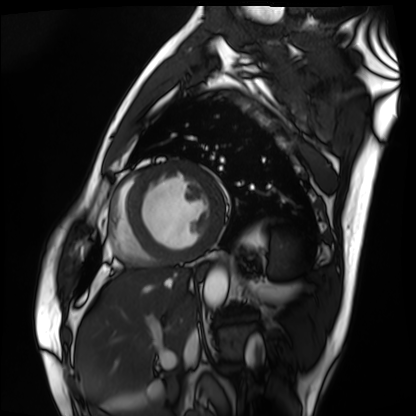
Summary:
Cardiac MRI. Subject group: patient.